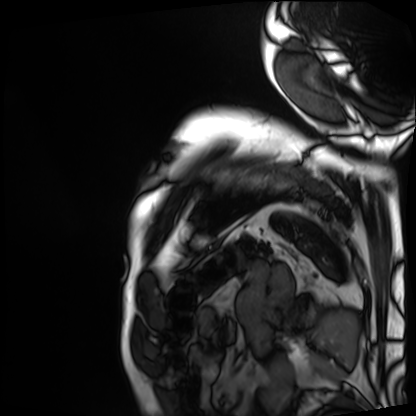
Cardiac MRI. Subject group: patient.